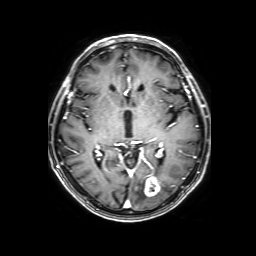
<case>
<modality>
  <type>brain MRI</type>
  <field_strength>3T</field_strength>
</modality>
<series>3D T1-weighted with SENSE</series>
<study_topic>ring-enhancing brain masses</study_topic>
</case>